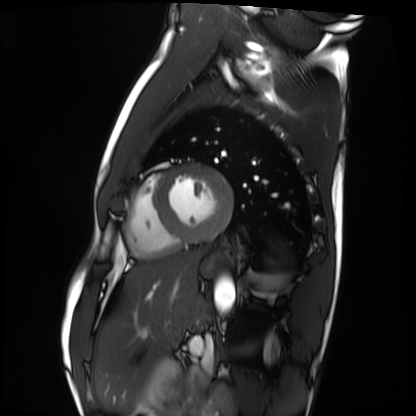
Cardiac MRI. Subject group: healthy volunteer.